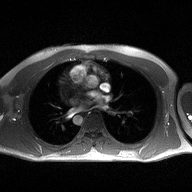
  modality:
    type: 2D phase-contrast cine MRI
    region: ascending aorta
    reconstruction: high-resolution GRAPPA acquisition